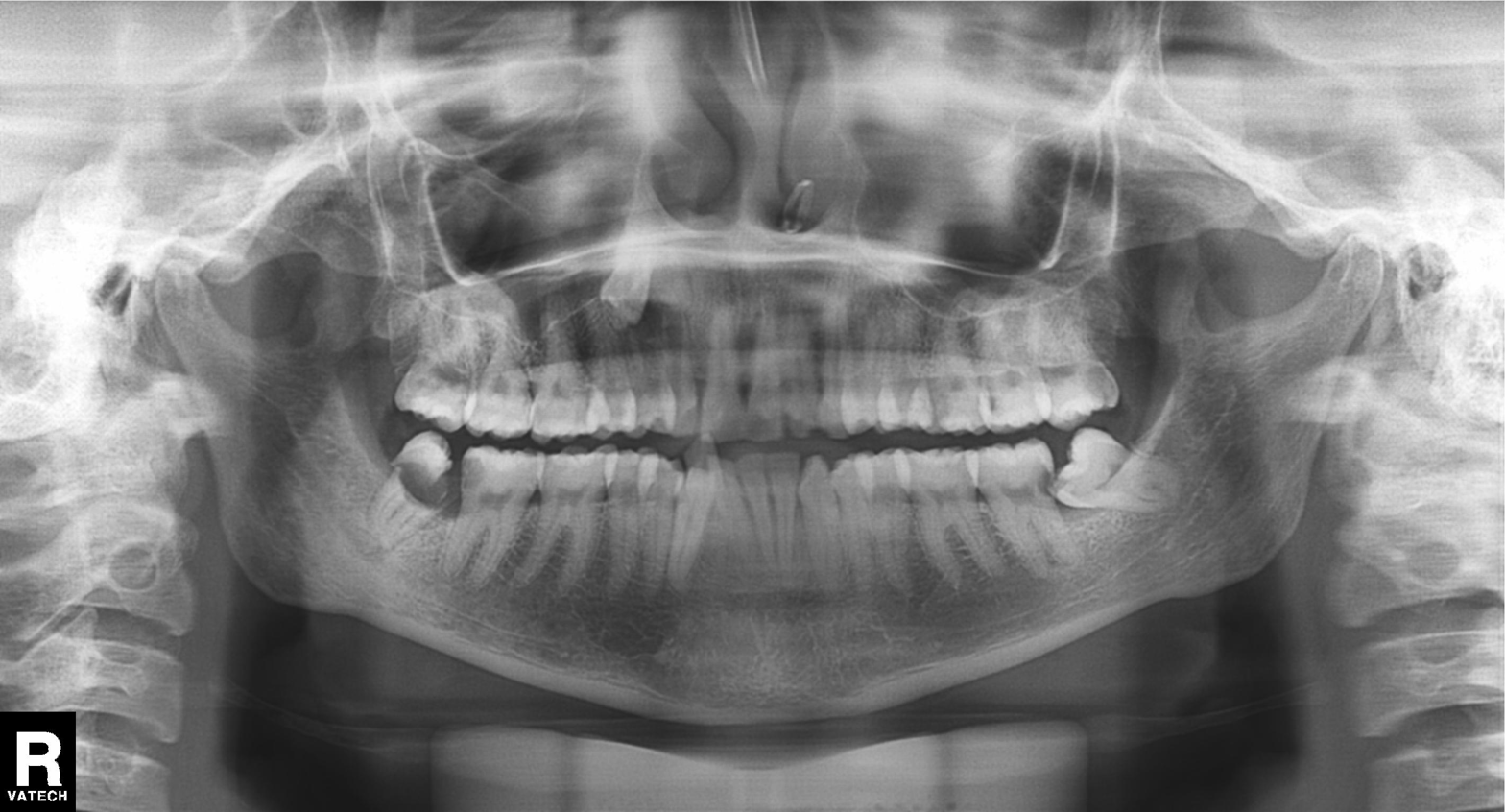
Clinical context: Panoramic dental radiograph (orthopantomogram).
Diagnosis: Alveolar bone loss.